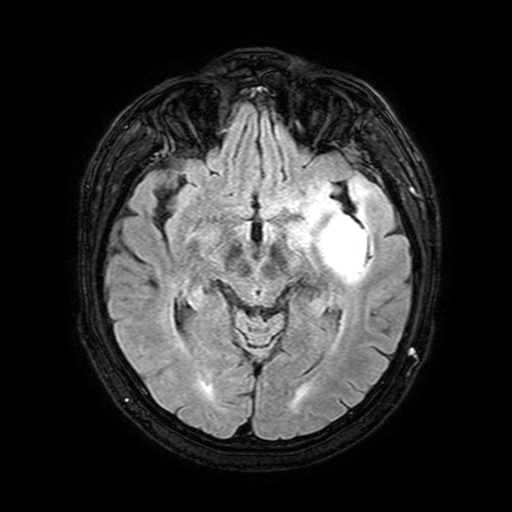
modality = 3 Tesla brain MRI | series = FLAIR with SPAIR, 3 mm | study = ring-enhancing brain masses.